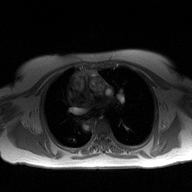
2D phase-contrast cine MRI of the ascending aorta, high-resolution GRAPPA acquisition.